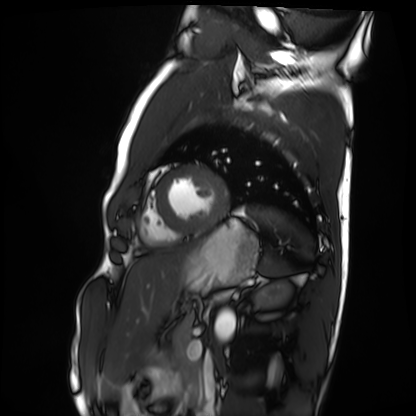
{"modality": "cardiac MRI", "cohort": "healthy volunteer"}